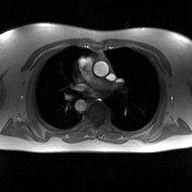
* modality: 2D phase-contrast cine MRI of the ascending aorta